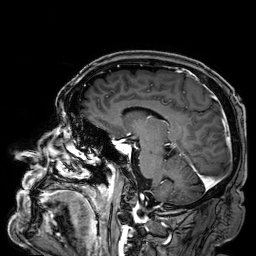
Q: What kind of scan is this?
A: 3 Tesla brain MRI.
Q: Series?
A: 3D T1-weighted.
Study: ring-enhancing brain masses.